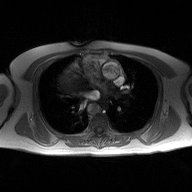
Clinical context: 2D phase-contrast cine MRI of the ascending aorta, high-resolution GRAPPA acquisition.